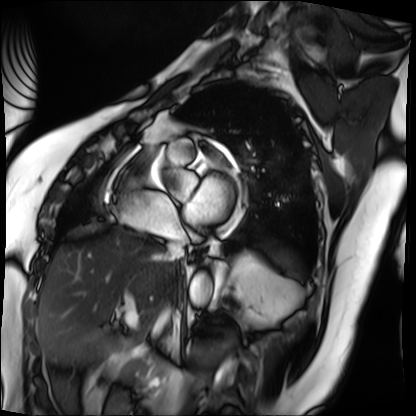
Cardiac MRI.
Subject group: patient.